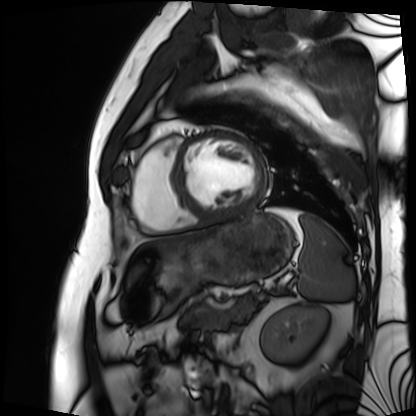
modality: cardiac MRI; subject group: patient.